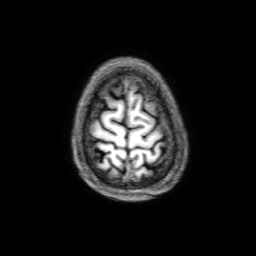
3 Tesla brain MRI.
Series: 3D T1-weighted with SENSE.
Study: ring-enhancing brain masses.